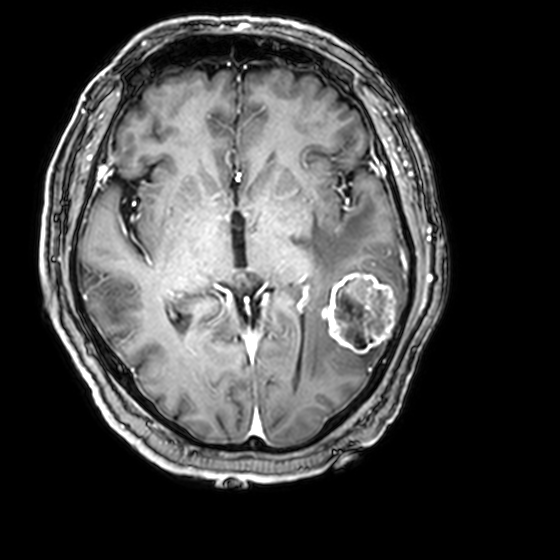
3 Tesla brain MRI. Series: 3D T1-weighted with CLEAR. Study: ring-enhancing brain masses.